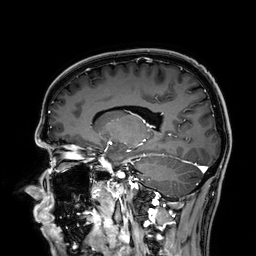
<study>
<modality>
  <type>brain MRI</type>
  <field_strength>3T</field_strength>
</modality>
<series>3D T1-weighted</series>
<study_topic>ring-enhancing brain masses</study_topic>
</study>